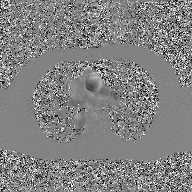
– modality: 2D phase-contrast cine MRI of the ascending aorta, GAN super-resolution reconstruction